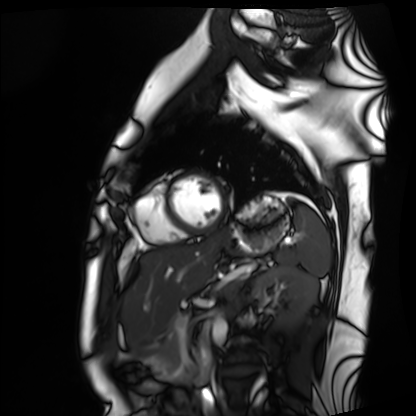
Q: What kind of scan is this?
A: Cardiac MRI.
Subject group: healthy volunteer.